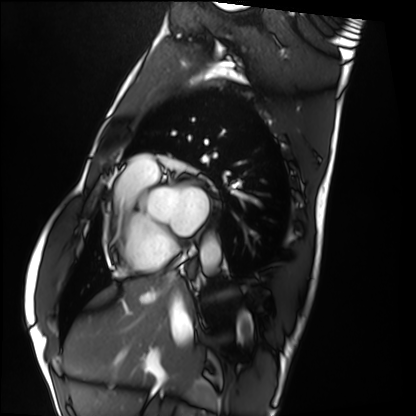
{
  "modality": "cardiac MRI",
  "cohort": "healthy volunteer"
}